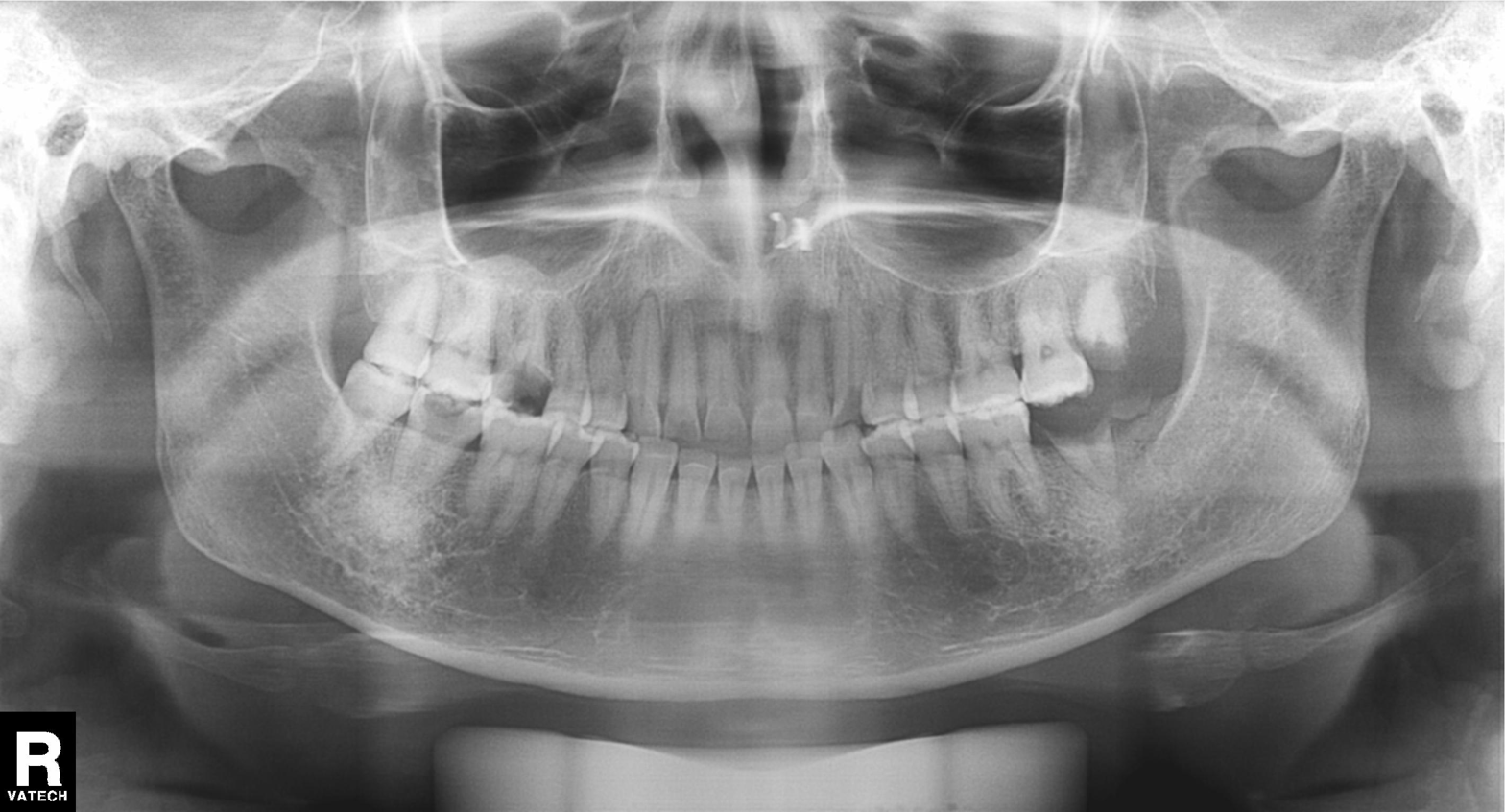
Panoramic dental radiograph (orthopantomogram).
Finding: dental caries (cavities).